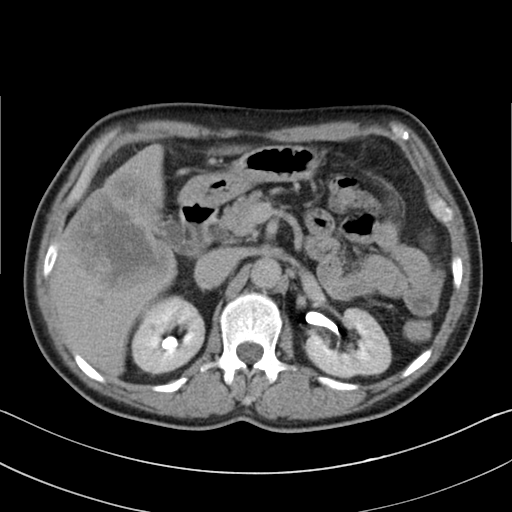
  modality:
    type: multiphase abdominal CT
    region: liver
    phase: delayed